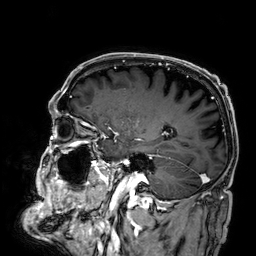
3 Tesla brain MRI. Series: 3D T1-weighted. Study: ring-enhancing brain masses.